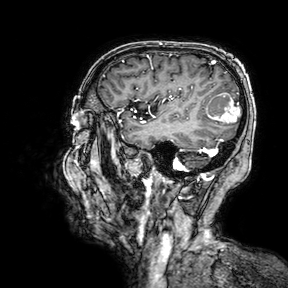
| field | value |
|---|---|
| modality | 3 Tesla brain MRI |
| series | 3D T1-weighted turbo field echo with SENSE |
| study | ring-enhancing brain masses |